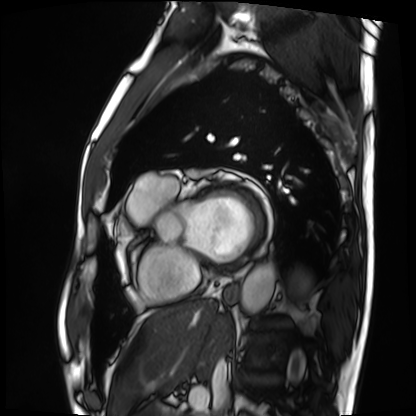
Cardiac MRI. Subject group: patient.